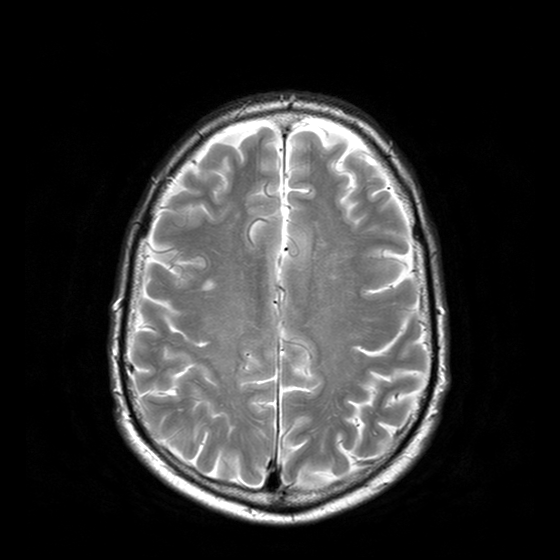
modality: 3 Tesla brain MRI
series: T2-weighted turbo spin echo with CLEAR
study: ring-enhancing brain masses